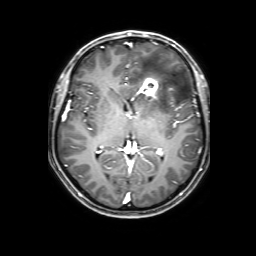
| field | value |
|---|---|
| modality | 3 Tesla brain MRI |
| series | 3D T1-weighted with SENSE |
| study | ring-enhancing brain masses |